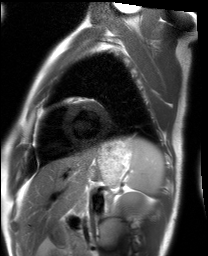
Q: What kind of scan is this?
A: Cardiac MRI.
Subject group: healthy volunteer.